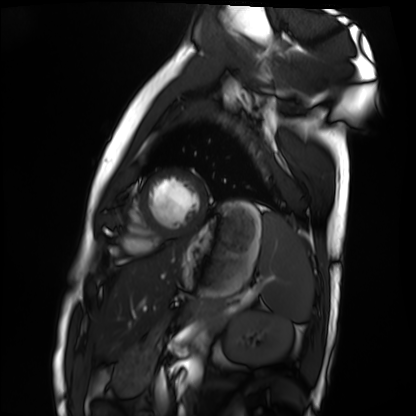
Clinical context: Cardiac MRI. Subject group: healthy volunteer.